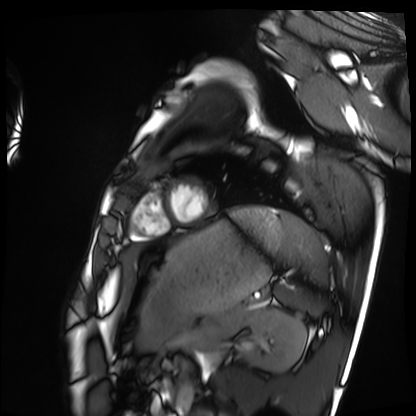
Cardiac MRI. Subject group: healthy volunteer.